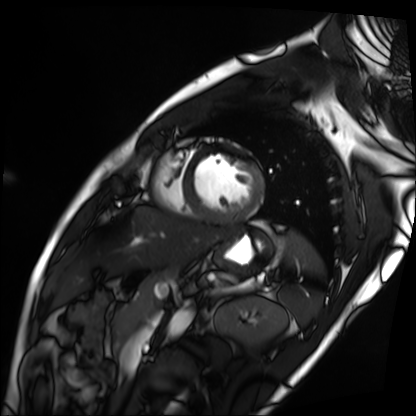
Case summary: Cardiac MRI. Subject group: patient.